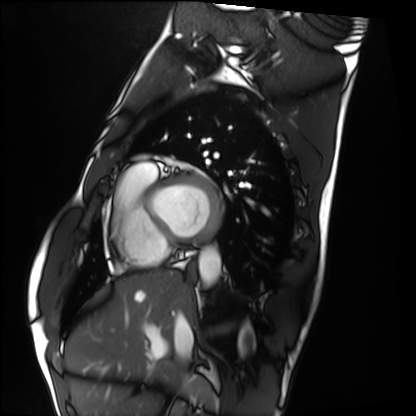
Case summary:
Cardiac MRI. Subject group: healthy volunteer.